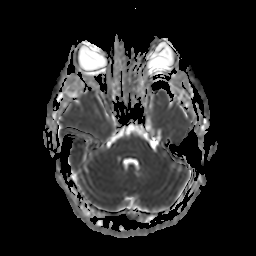
<case>
<modality>
  <type>brain MRI</type>
  <field_strength>3T</field_strength>
</modality>
<series>apparent diffusion coefficient (ADC) map</series>
<study_topic>ring-enhancing brain masses</study_topic>
</case>